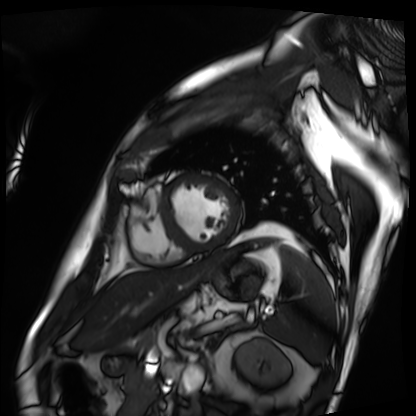
Case summary: Cardiac MRI. Subject group: patient.